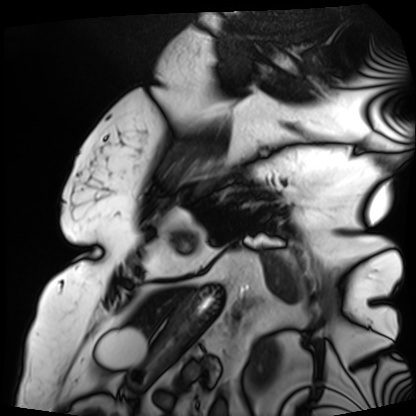
- modality: cardiac MRI
- subject group: patient